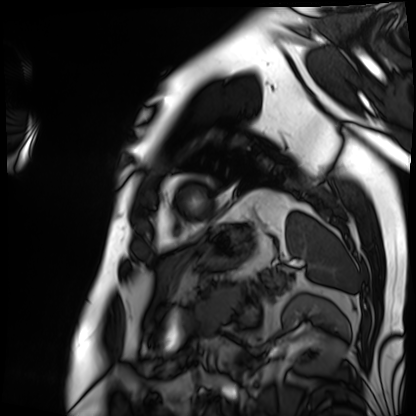
Cardiac MRI.
Subject group: patient.